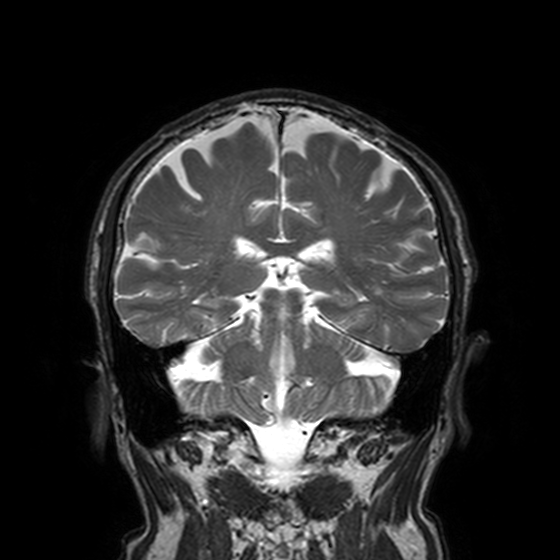
modality = 3 Tesla brain MRI
series = T2-weighted turbo spin echo, 3 mm
study = ring-enhancing brain masses